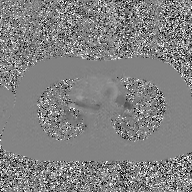
modality:
  type: 2D phase-contrast cine MRI
  region: ascending aorta
  reconstruction: GAN super-resolution reconstruction